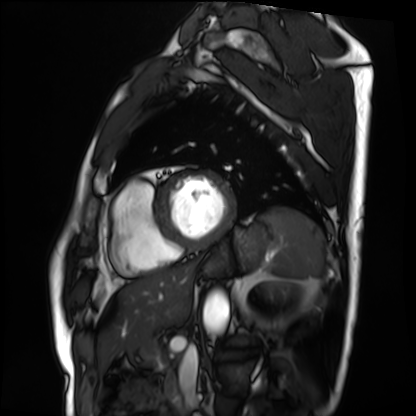
| field | value |
|---|---|
| modality | cardiac MRI |
| subject group | patient |